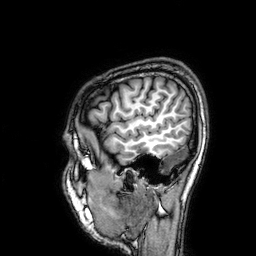
{"modality": {"type": "brain MRI", "field_strength": "3T"}, "series": "3D T1-weighted", "study_topic": "ring-enhancing brain masses"}